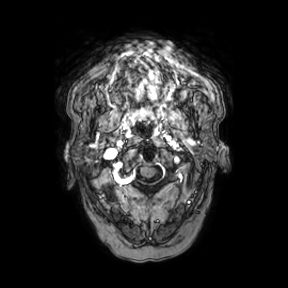
modality: 3 Tesla brain MRI
series: axial
study: ring-enhancing brain masses